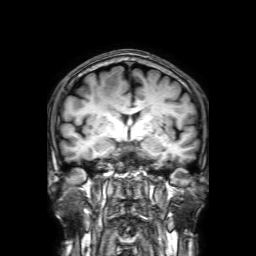
modality: 3 Tesla brain MRI; series: 3D T1-weighted with SENSE; study: ring-enhancing brain masses.